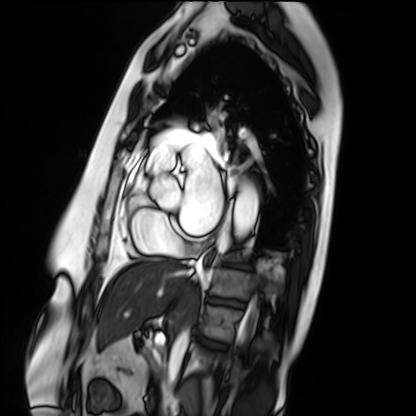
modality = cardiac MRI; subject group = patient.